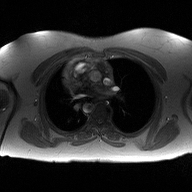
modality: 2D phase-contrast cine MRI of the ascending aorta